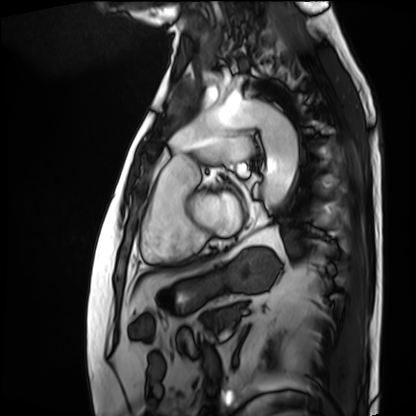
Cardiac MRI. Subject group: patient.